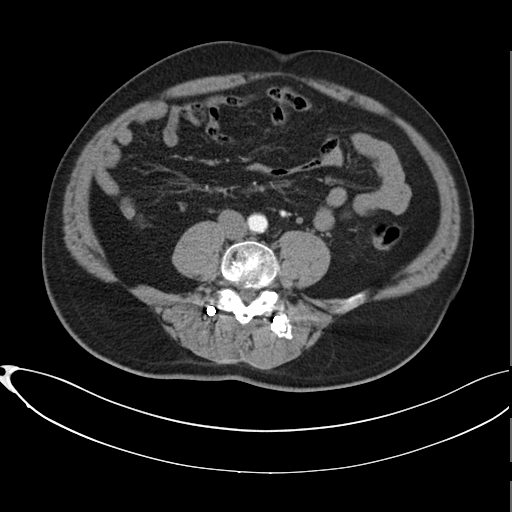
Case summary: Multiphase abdominal CT, liver, arterial phase. Patient: male, age 58.